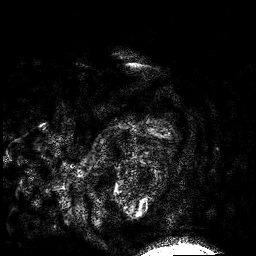
modality=3 Tesla brain MRI
series=3D T1-weighted
study=ring-enhancing brain masses